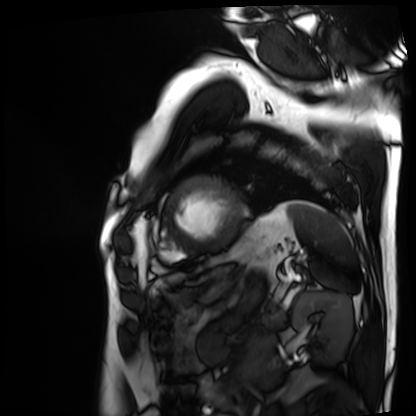
Cardiac MRI. Subject group: patient.